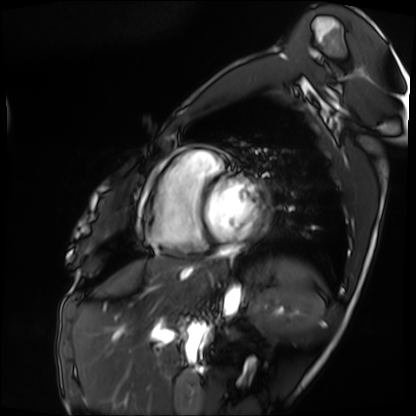
Cardiac MRI. Subject group: patient.